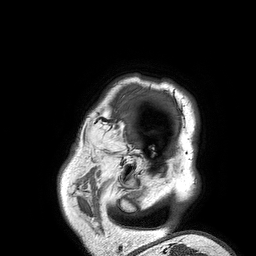
Summary:
3 Tesla brain MRI. Series: 3D T1-weighted turbo field echo. Study: ring-enhancing brain masses.